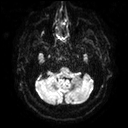
Case:
* modality — 3 Tesla brain MRI
* series — diffusion tensor imaging (medium iso)
* study — ring-enhancing brain masses